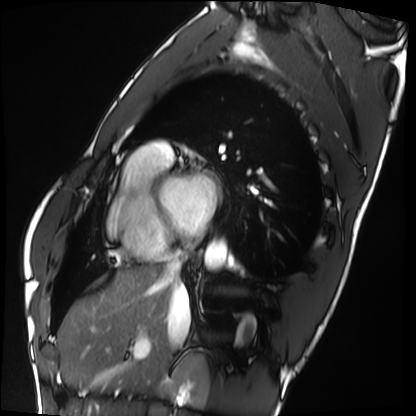
Summary:
Cardiac MRI. Subject group: healthy volunteer.